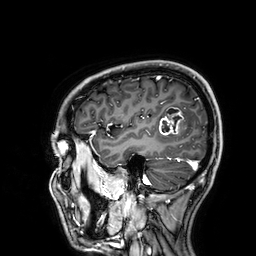
modality = 3 Tesla brain MRI
series = 3D T1-weighted
study = ring-enhancing brain masses